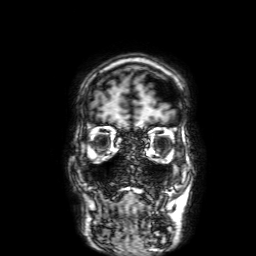
3 Tesla brain MRI.
Series: 3D T1-weighted with SENSE.
Study: ring-enhancing brain masses.